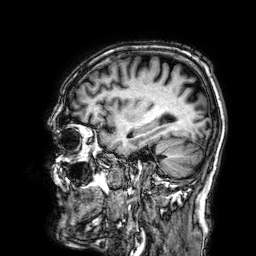
modality = 3 Tesla brain MRI; series = 3D T1-weighted; study = ring-enhancing brain masses.